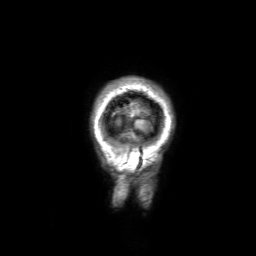
modality=3 Tesla brain MRI
series=3D T1-weighted with SENSE
study=ring-enhancing brain masses